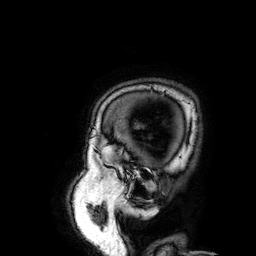
Summary:
3 Tesla brain MRI. Series: 3D T1-weighted. Study: ring-enhancing brain masses.